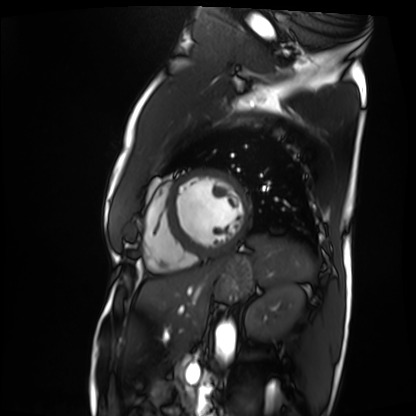
modality: cardiac MRI
cohort: patient